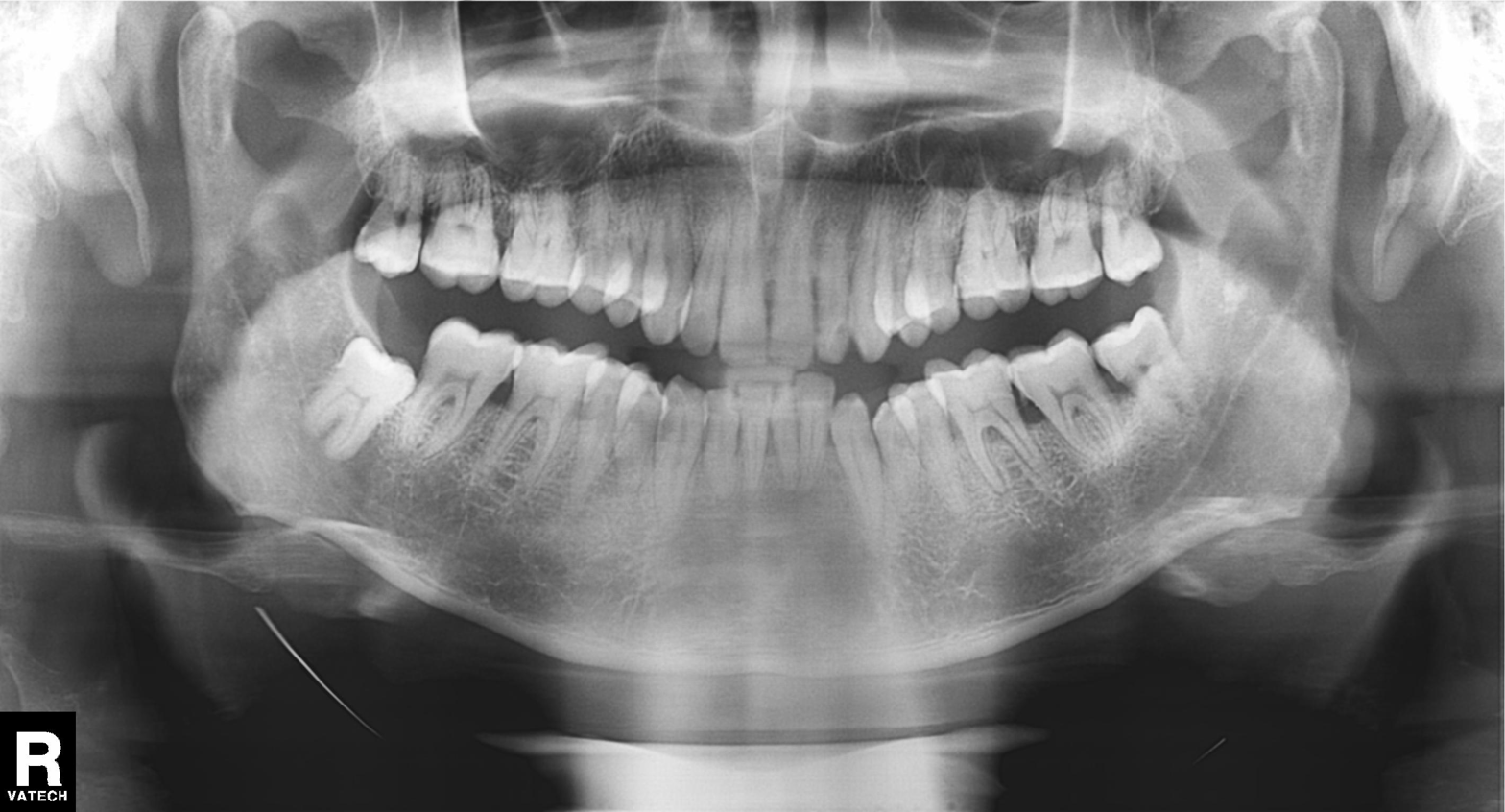
Clinical context:
Panoramic dental radiograph (orthopantomogram).
Diagnosis:
Alveolar bone loss.